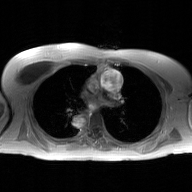
Q: What kind of scan is this?
A: 2D phase-contrast cine MRI of the ascending aorta, GAN super-resolution reconstruction.